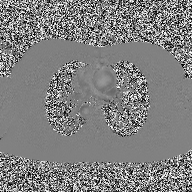
Summary: 2D phase-contrast cine MRI of the ascending aorta, high-resolution GRAPPA acquisition.